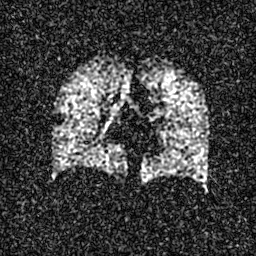
modality: hyperpolarized 129Xe ventilation MRI of the lungs
SNR level: 4 of 8 (the deposit holds this scan as its native image and as seven SNR-degraded versions)